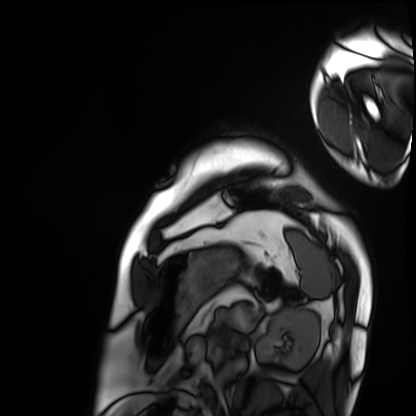
modality=cardiac MRI
subject group=patient